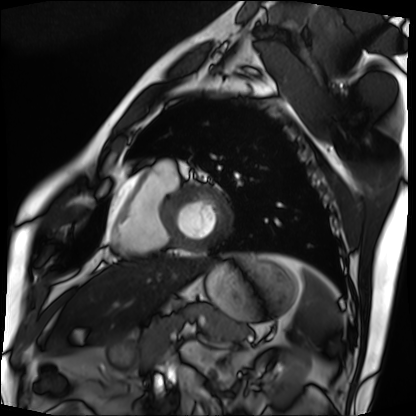
Cardiac MRI. Subject group: patient.